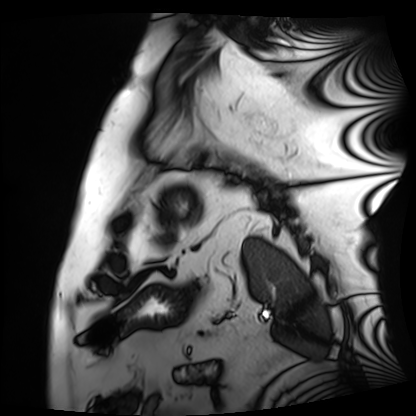
Case summary: Cardiac MRI. Subject group: patient.